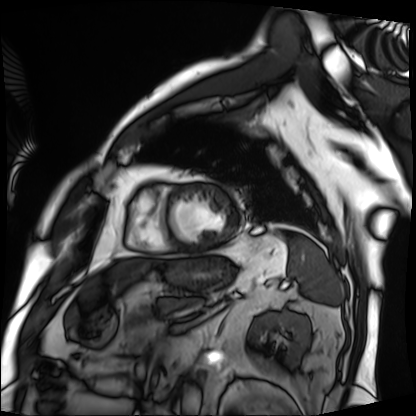
Cardiac MRI. Subject group: patient.